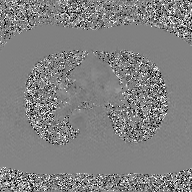
modality = 2D phase-contrast cine MRI of the ascending aorta, GAN super-resolution reconstruction.